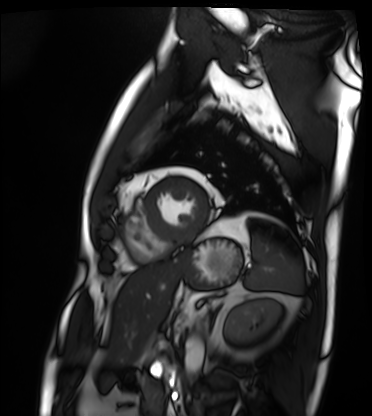
| field | value |
|---|---|
| modality | cardiac MRI |
| subject group | patient |